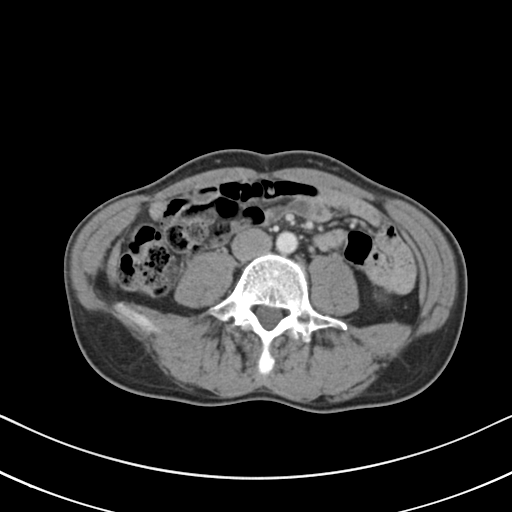
Q: What kind of scan is this?
A: Multiphase abdominal CT, liver, portal venous phase.
Q: Patient?
A: Male, age 46.
Q: History?
A: Viral hepatitis.